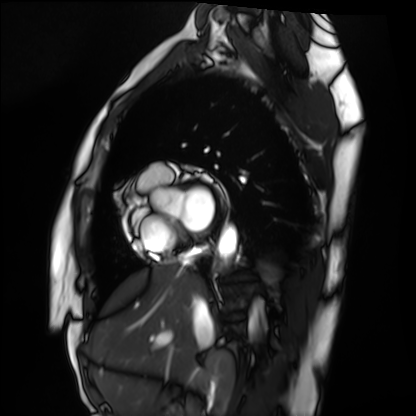
Cardiac MRI. Subject group: healthy volunteer.